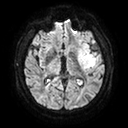
3 Tesla brain MRI. Series: diffusion tensor imaging (medium iso). Study: ring-enhancing brain masses.